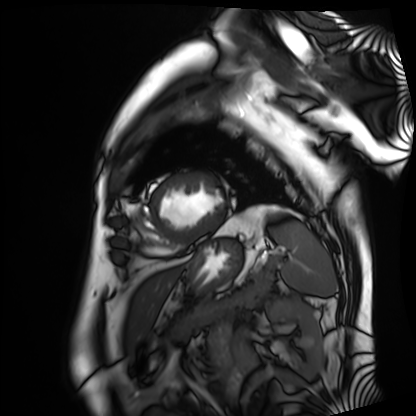
Cardiac MRI. Subject group: patient.